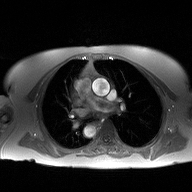
– modality — 2D phase-contrast cine MRI of the ascending aorta